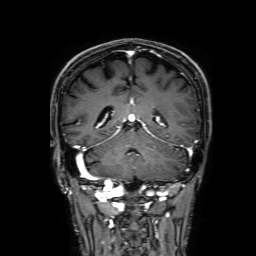
3 Tesla brain MRI.
Series: 3D T1-weighted with SENSE.
Study: ring-enhancing brain masses.